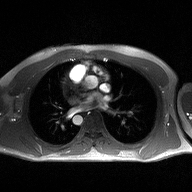
modality: 2D phase-contrast cine MRI of the ascending aorta.